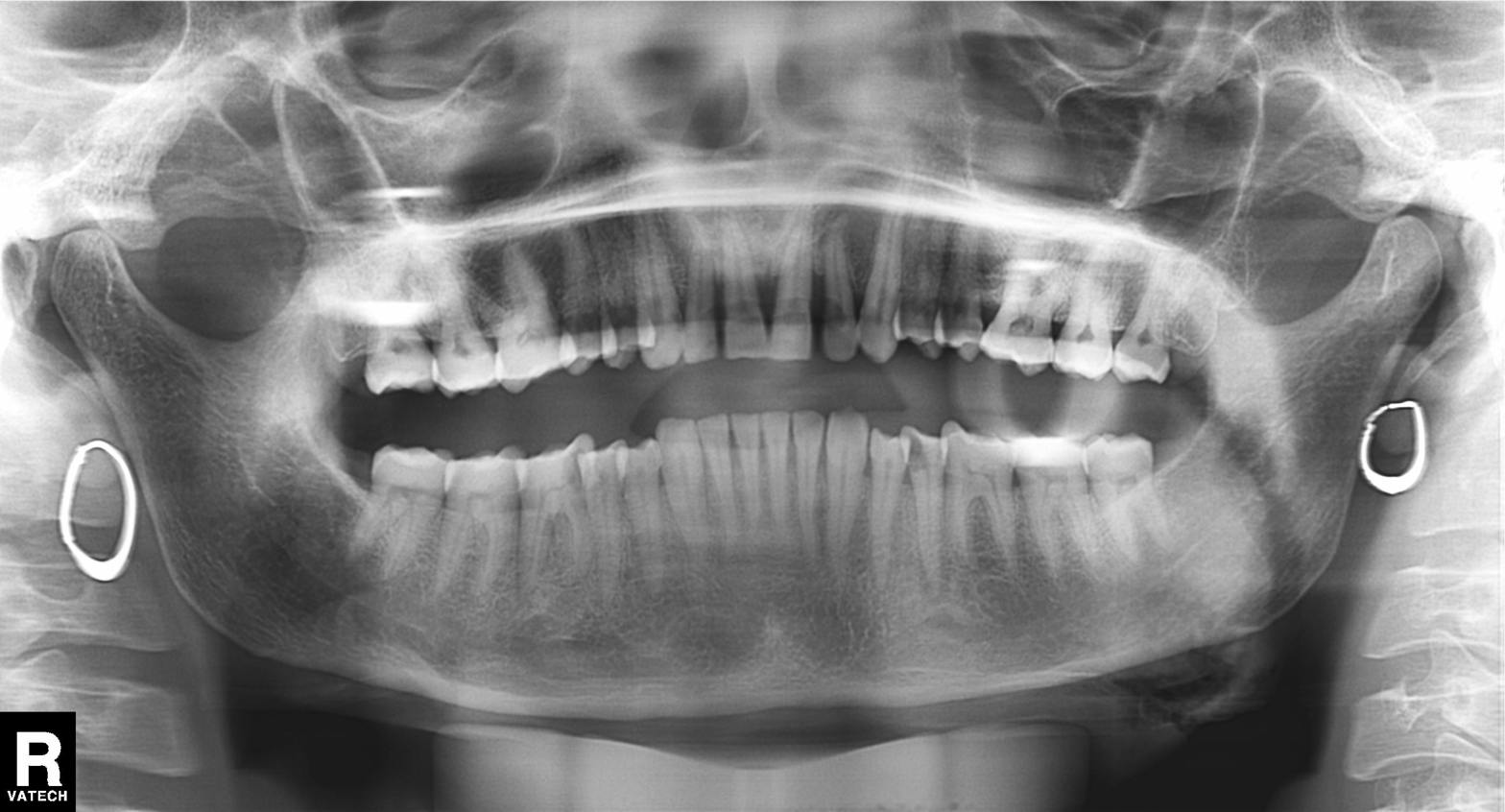
Clinical context: Panoramic dental radiograph (orthopantomogram).
Impression: Alveolar bone loss.